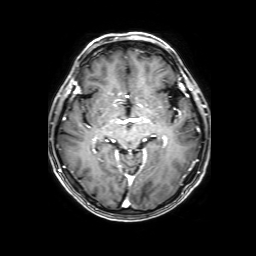
modality: 3 Tesla brain MRI; series: 3D T1-weighted with SENSE; study: ring-enhancing brain masses.